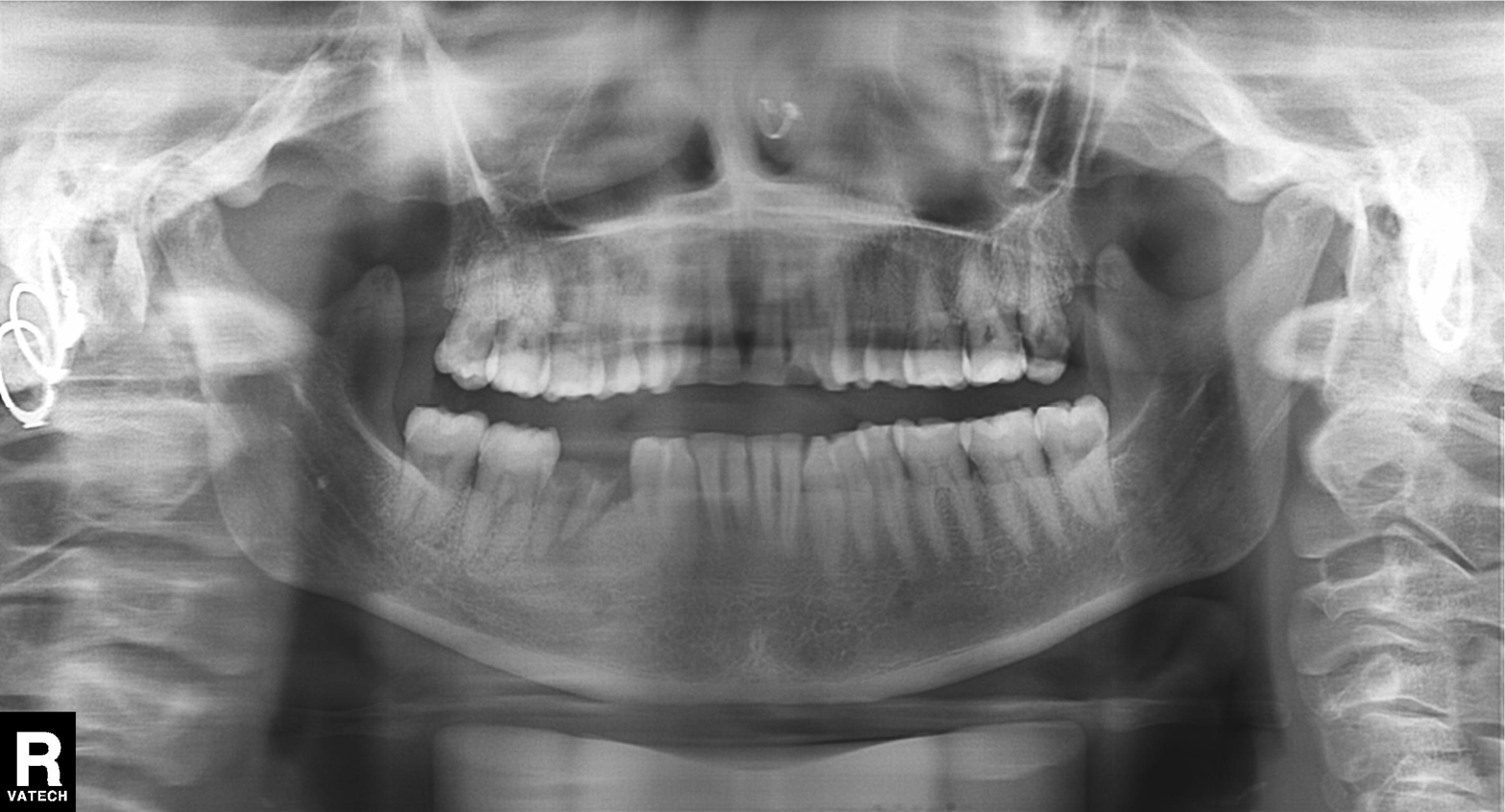
modality = panoramic dental radiograph (orthopantomogram), finding = alveolar bone loss.